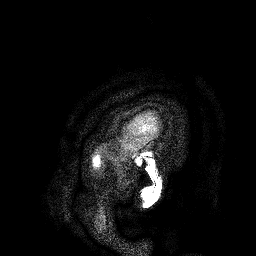
{
  "modality": {
    "type": "brain MRI",
    "field_strength": "3T"
  },
  "series": "3D T1-weighted turbo field echo",
  "study_topic": "ring-enhancing brain masses"
}